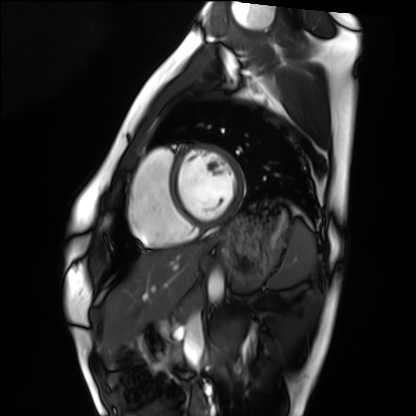
Cardiac MRI.
Subject group: healthy volunteer.